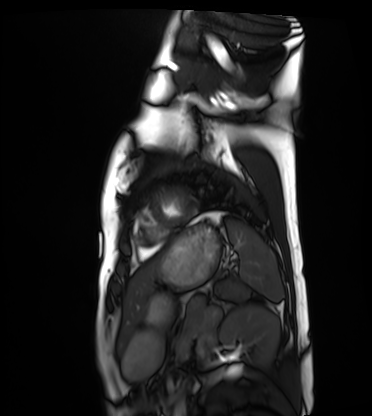
modality: cardiac MRI
cohort: healthy volunteer